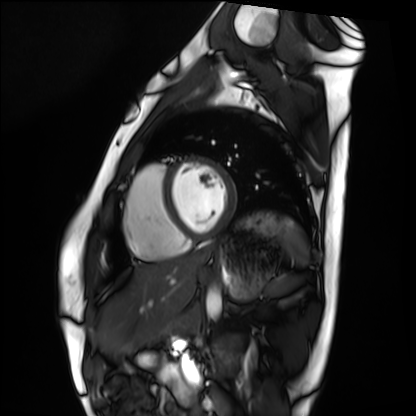
Case:
- modality: cardiac MRI
- subject group: healthy volunteer